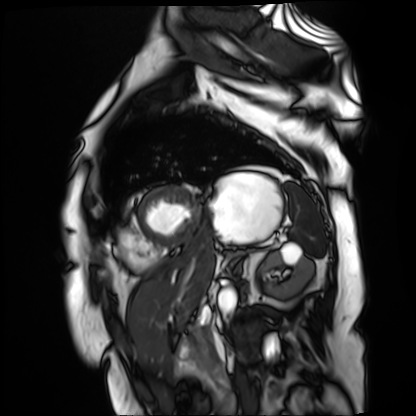
Cardiac MR image of the myocardium. Subject cohort: cardiac patient.